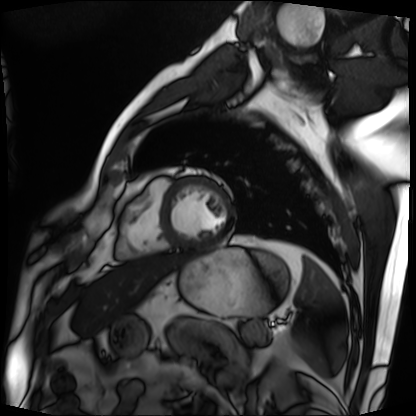
Clinical context:
Cardiac MRI. Subject group: patient.